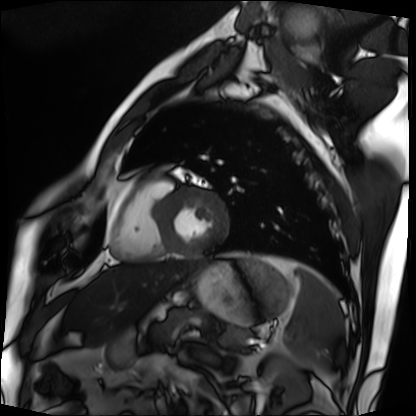
modality = cardiac MRI, subject group = patient.